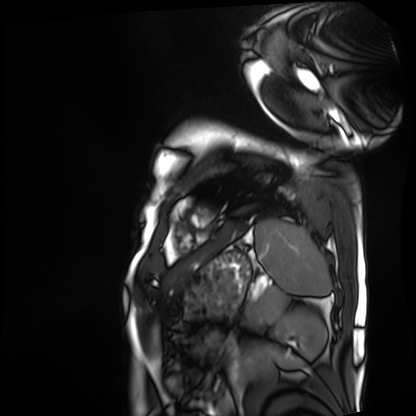
Cardiac MRI.
Subject group: patient.